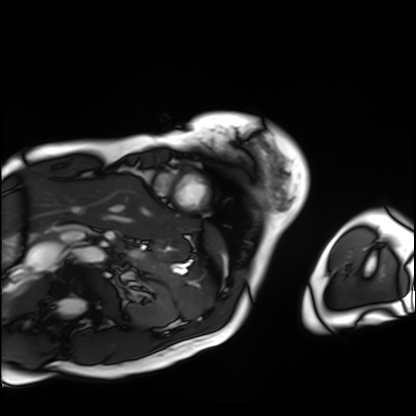
Clinical context: Cardiac MRI. Subject group: patient.